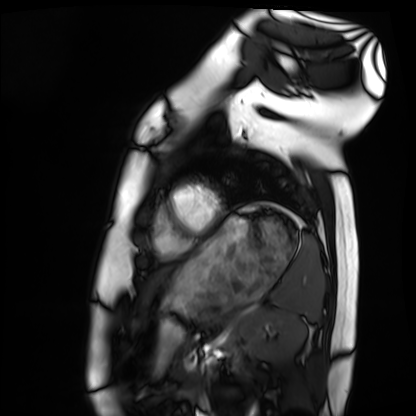
Q: What kind of scan is this?
A: Cardiac MRI.
Subject group: healthy volunteer.